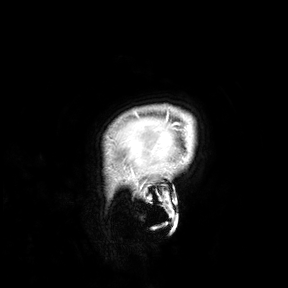
3 Tesla brain MRI. Study: ring-enhancing brain masses.